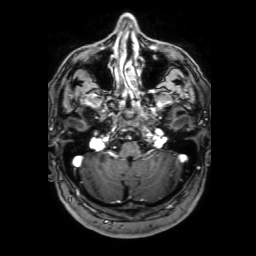
<case>
<modality>
  <type>brain MRI</type>
  <field_strength>3T</field_strength>
</modality>
<series>3D T1-weighted with SENSE</series>
<study_topic>ring-enhancing brain masses</study_topic>
</case>